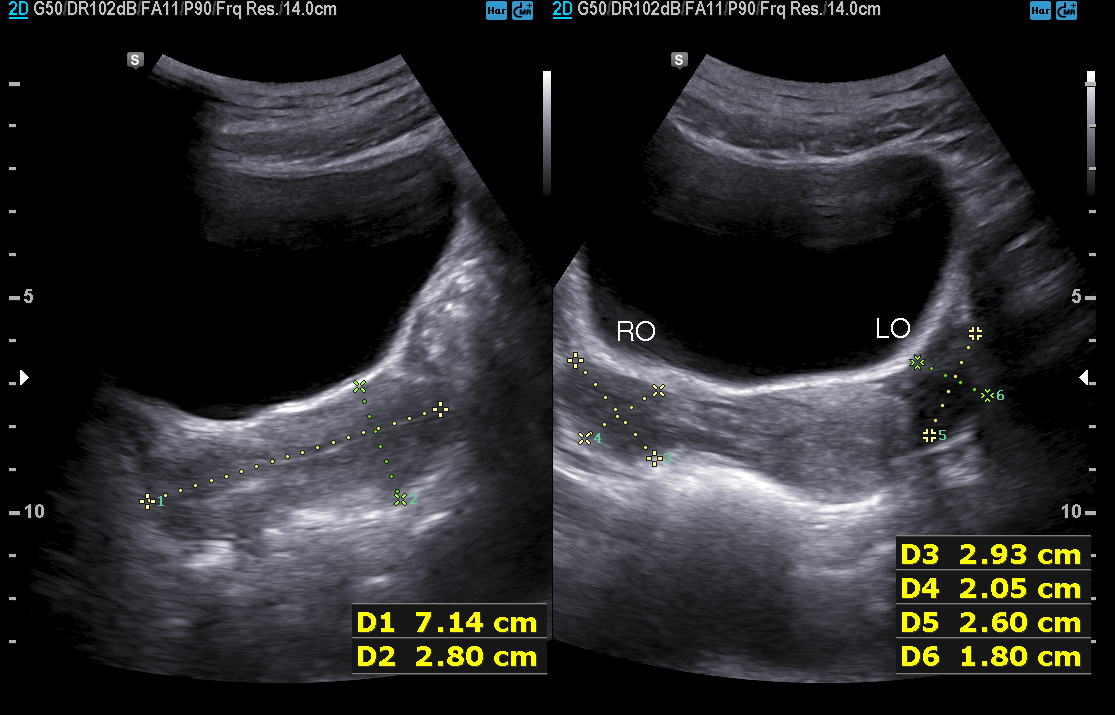
Genitourinary ultrasound.